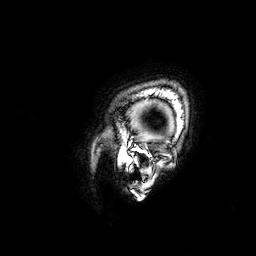
3 Tesla brain MRI.
Series: 3D T1-weighted.
Study: ring-enhancing brain masses.